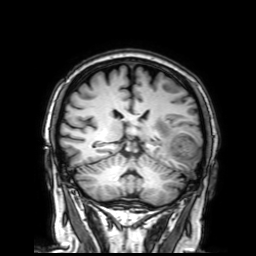
Case summary: 3 Tesla brain MRI. Series: 3D T1-weighted with SENSE. Study: ring-enhancing brain masses.